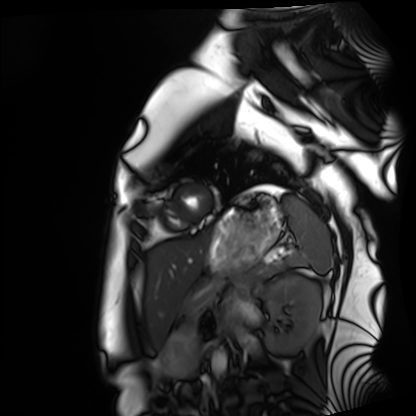
Cardiac MRI.
Subject group: healthy volunteer.